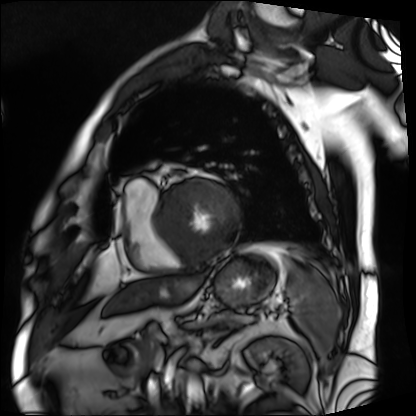
modality = cardiac MRI
subject group = patient